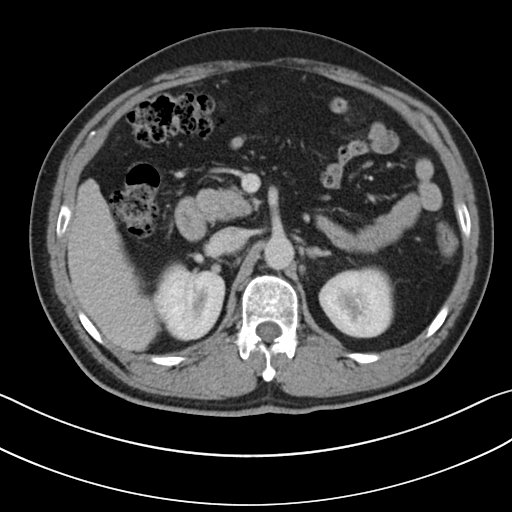
Multiphase abdominal CT, liver, portal venous phase.
Patient: male, age 52.